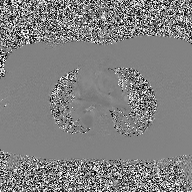
– modality · 2D phase-contrast cine MRI of the ascending aorta